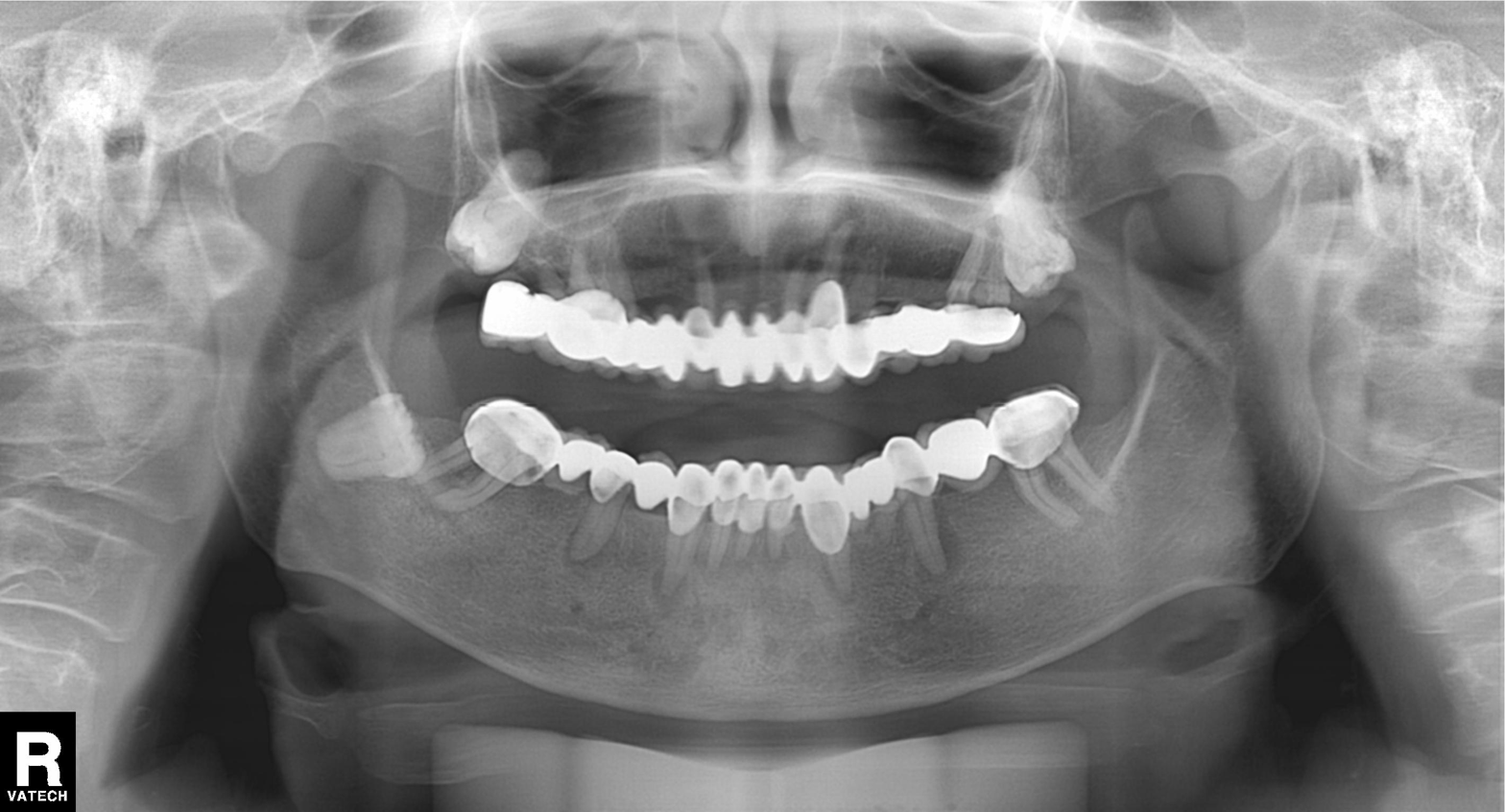
modality: panoramic dental radiograph (orthopantomogram)
finding: alveolar bone loss